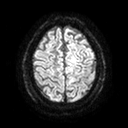
3 Tesla brain MRI. Study: ring-enhancing brain masses.